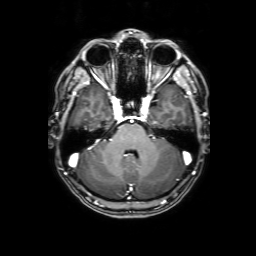
Q: What kind of scan is this?
A: 3 Tesla brain MRI.
Q: Series?
A: 3D T1-weighted with SENSE.
Study: ring-enhancing brain masses.